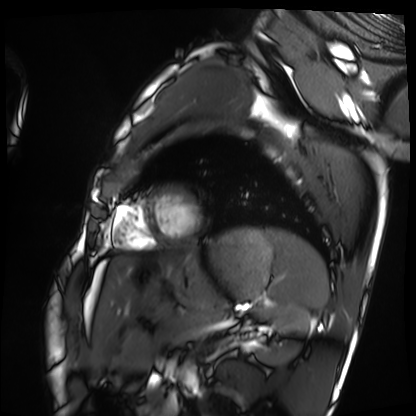
Cardiac MRI. Subject group: healthy volunteer.